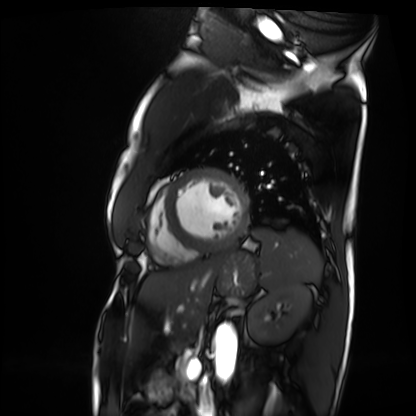
<scan>
  <modality>cardiac MRI</modality>
  <cohort>patient</cohort>
</scan>